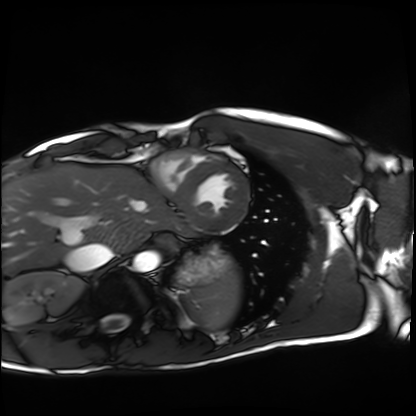
Cardiac MRI. Subject group: healthy volunteer.